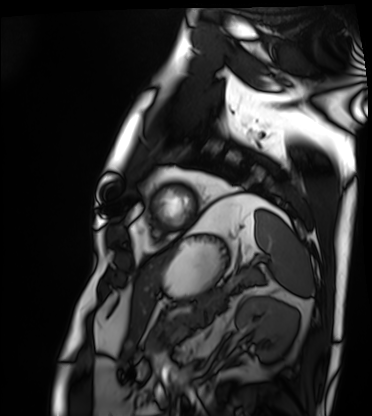
modality = cardiac MRI | subject group = patient.